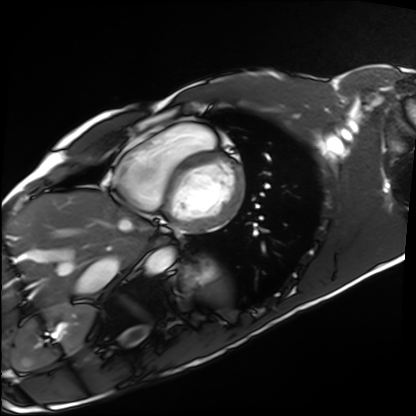
modality: cardiac MRI, subject group: healthy volunteer.